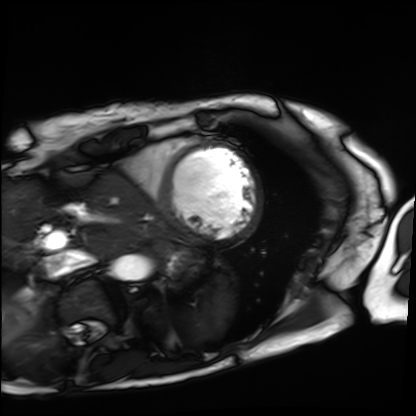
Cardiac MRI. Subject group: patient.